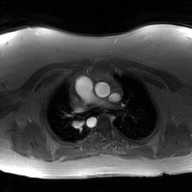
modality=2D phase-contrast cine MRI of the ascending aorta, GAN super-resolution reconstruction.